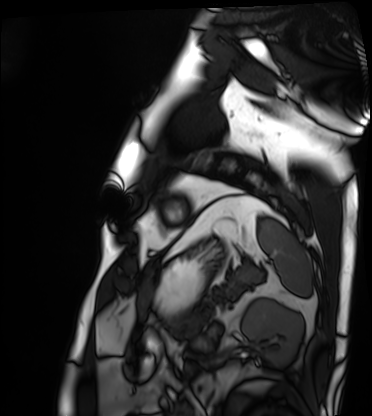
modality: cardiac MRI | subject group: patient.